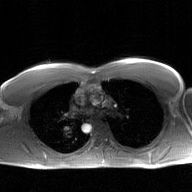
<record>
<modality>
  <type>2D phase-contrast cine MRI</type>
  <region>ascending aorta</region>
  <reconstruction>GAN super-resolution reconstruction</reconstruction>
</modality>
</record>